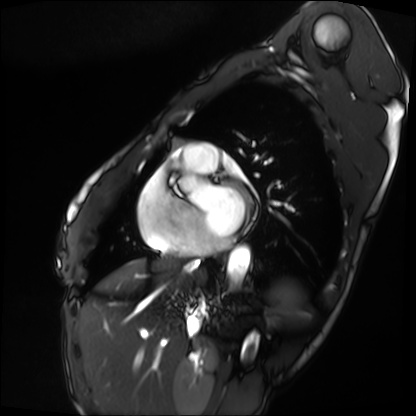
modality = cardiac MRI; subject group = patient.